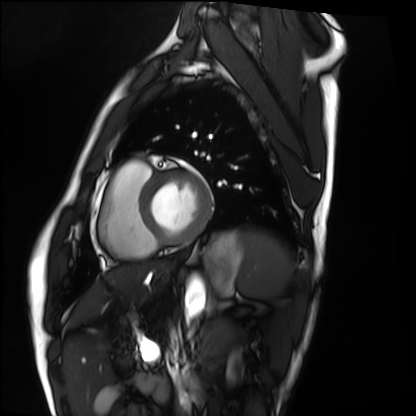
- modality · cardiac MRI
- subject group · healthy volunteer